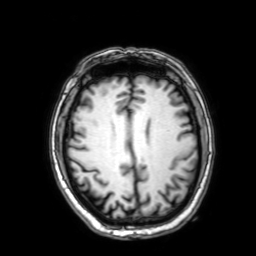
3 Tesla brain MRI. Series: 3D T1-weighted with SENSE. Study: ring-enhancing brain masses.